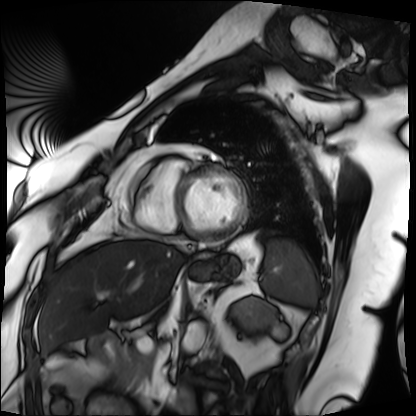
{"modality": "cardiac MRI", "cohort": "patient"}